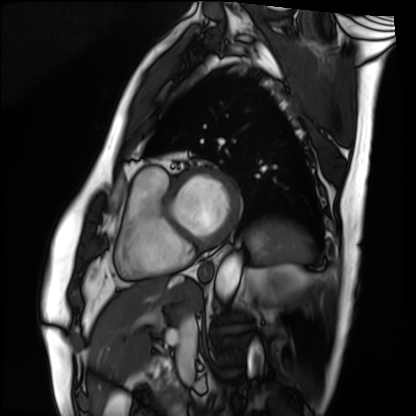
Q: What kind of scan is this?
A: Cardiac MRI.
Subject group: patient.